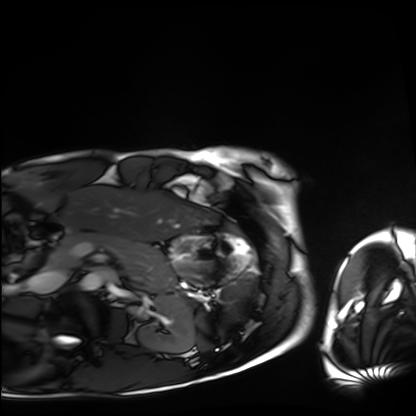
modality=cardiac MRI; subject group=healthy volunteer.